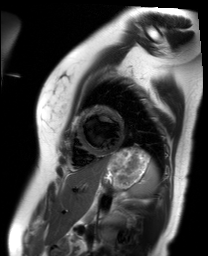
– modality: cardiac MR image of the myocardium
– subject cohort: healthy volunteer